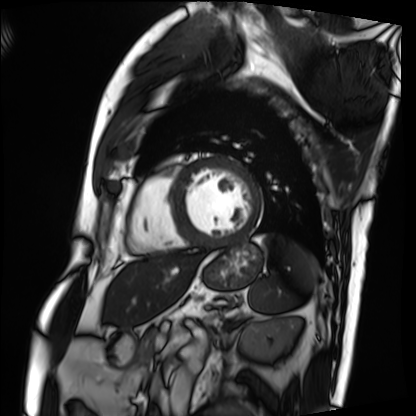
• modality · cardiac MRI
• subject group · patient